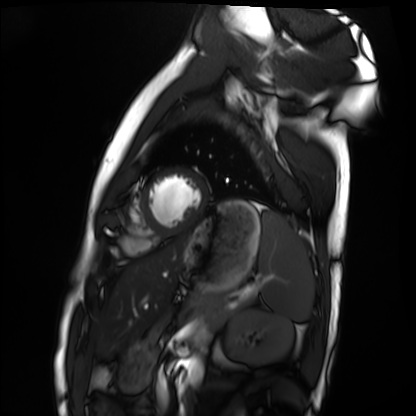
Case:
* modality · cardiac MRI
* subject group · healthy volunteer